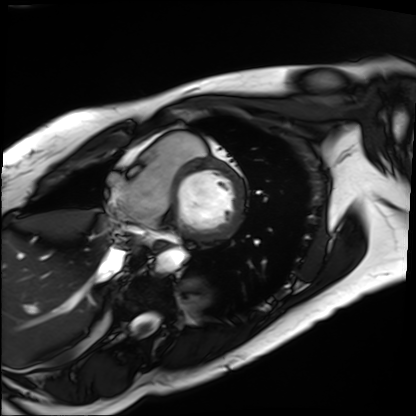
Q: What kind of scan is this?
A: Cardiac MRI.
Subject group: patient.